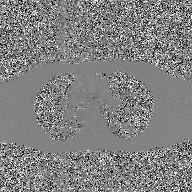
2D phase-contrast cine MRI of the ascending aorta, GAN super-resolution reconstruction.